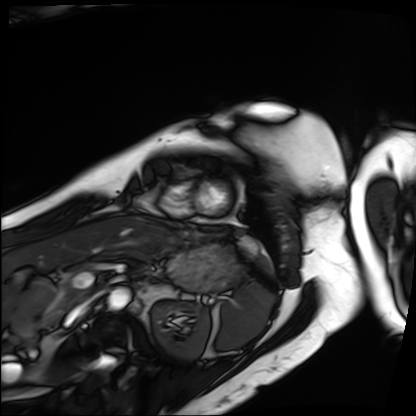
modality: cardiac MRI; subject group: patient.